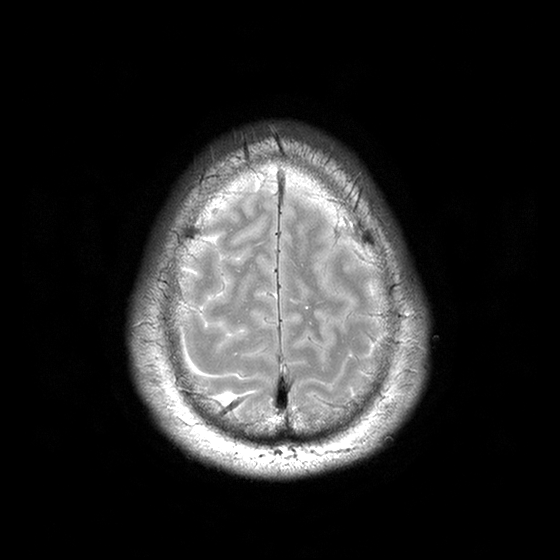
Q: What kind of scan is this?
A: 3 Tesla brain MRI.
Q: Series?
A: T2-weighted turbo spin echo with CLEAR.
Study: ring-enhancing brain masses.